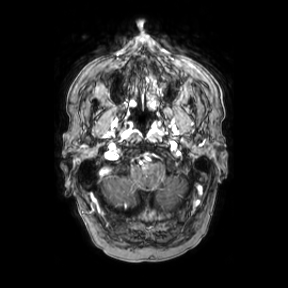
modality = 3 Tesla brain MRI | series = axial | study = ring-enhancing brain masses.